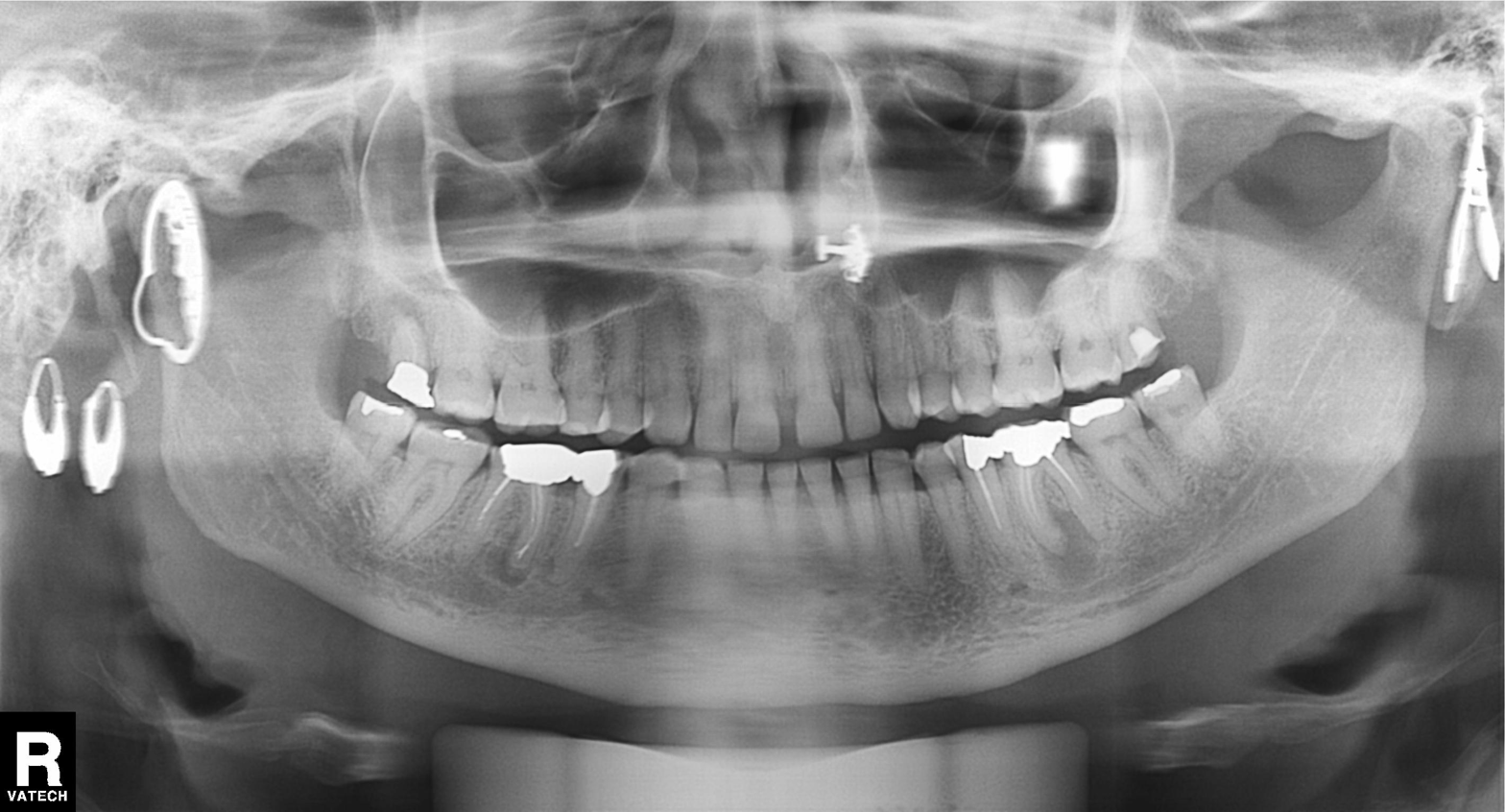
• modality · panoramic dental radiograph (orthopantomogram)
• finding · dental caries (cavities)